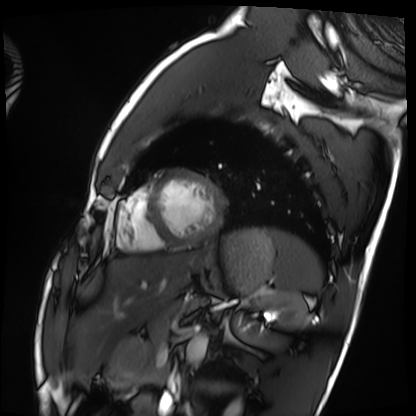
modality = cardiac MRI
subject group = healthy volunteer